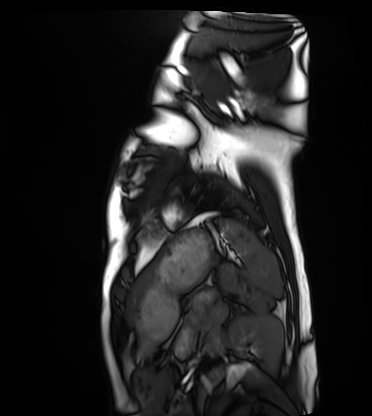
Q: What kind of scan is this?
A: Cardiac MRI.
Subject group: healthy volunteer.